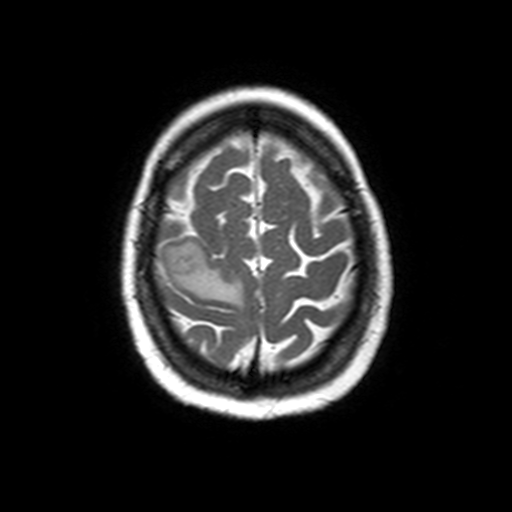
* modality · 3 Tesla brain MRI
* series · axial T2-weighted turbo spin echo
* study · ring-enhancing brain masses